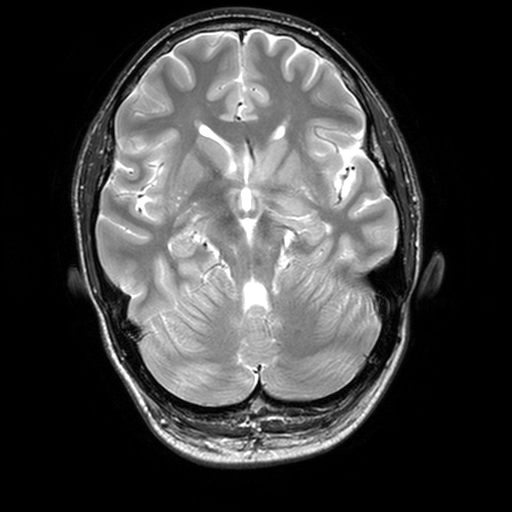
3 Tesla brain MRI.
Series: T2-weighted turbo spin echo, 3 mm.
Study: ring-enhancing brain masses.